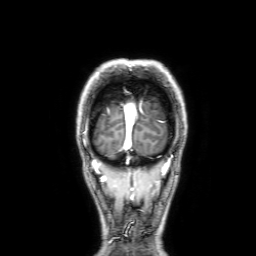
3 Tesla brain MRI.
Series: 3D T1-weighted with SENSE.
Study: ring-enhancing brain masses.